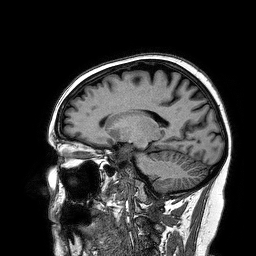
| field | value |
|---|---|
| modality | 3 Tesla brain MRI |
| series | 3D T1-weighted turbo field echo |
| study | ring-enhancing brain masses |